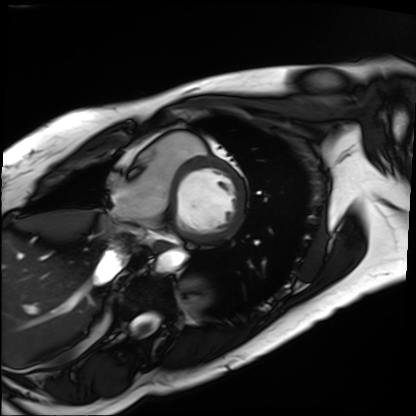
Q: What kind of scan is this?
A: Cardiac MRI.
Subject group: patient.